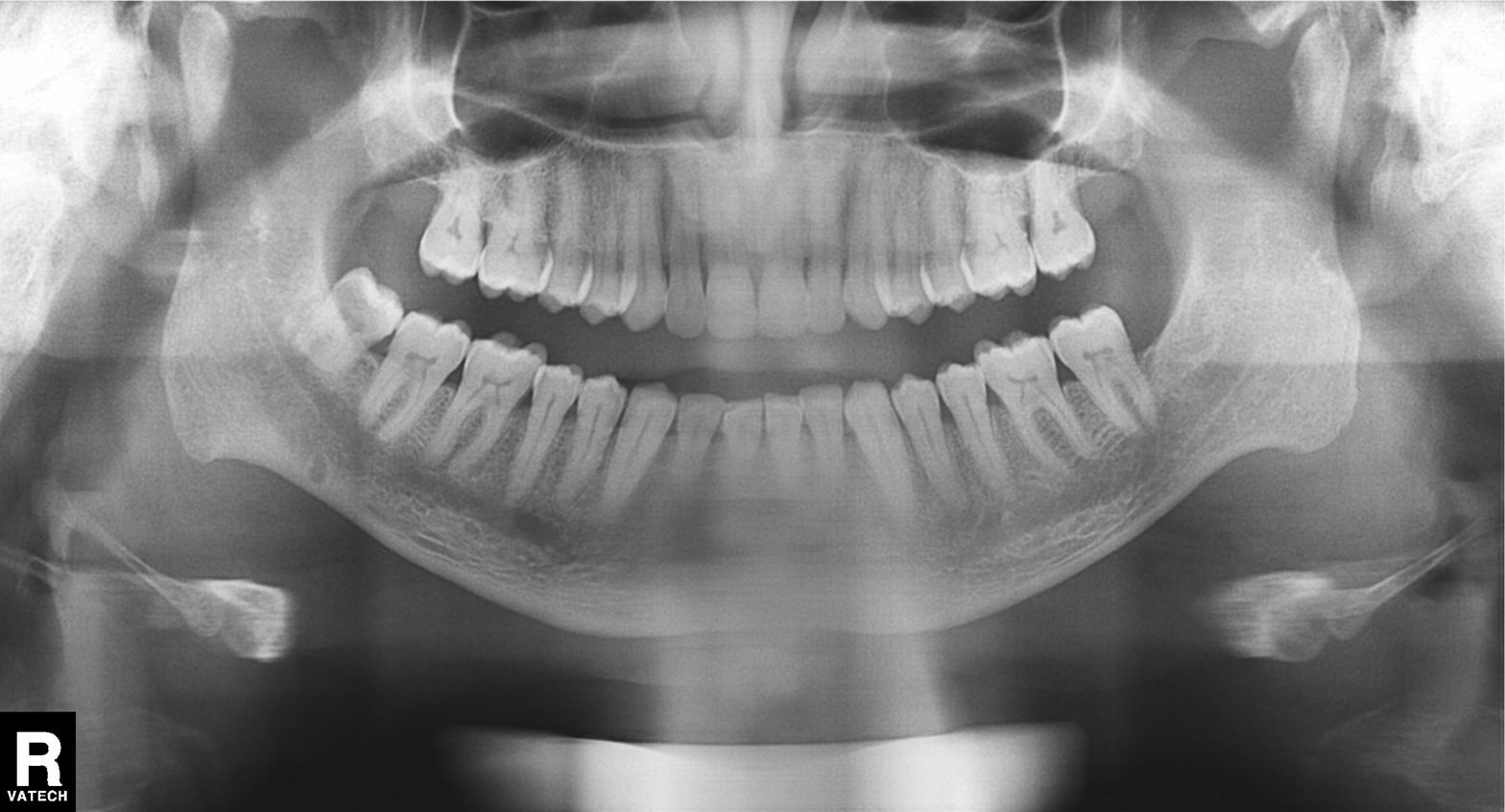
Findings:
* modality — panoramic dental radiograph (orthopantomogram)
* finding — dental caries (cavities)